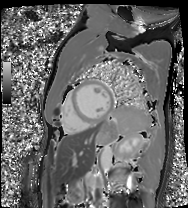
| field | value |
|---|---|
| modality | cardiac MRI |
| subject group | patient |